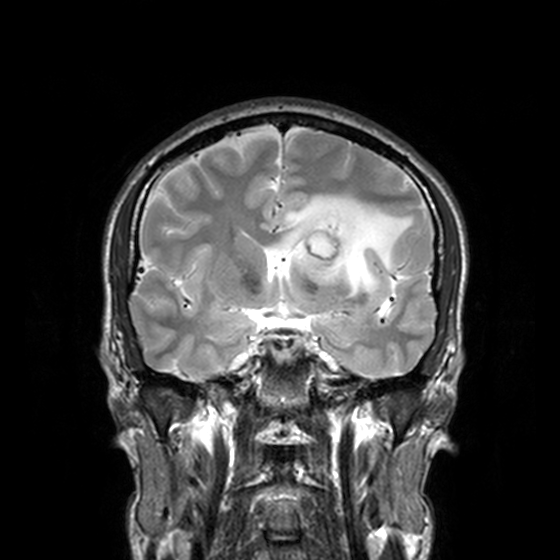
modality = 3 Tesla brain MRI | series = T2-weighted turbo spin echo, 3 mm | study = ring-enhancing brain masses.